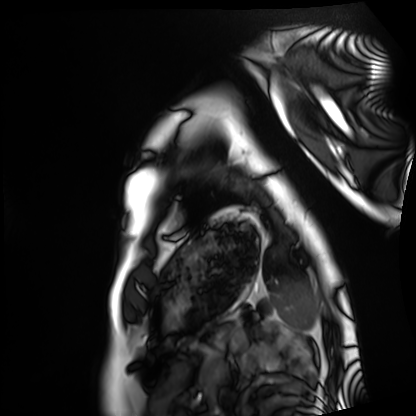
modality: cardiac MRI
cohort: healthy volunteer